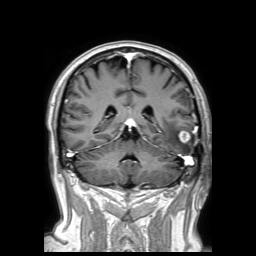
{
  "modality": {
    "type": "brain MRI",
    "field_strength": "3T"
  },
  "series": "3D T1-weighted TFE with SENSE",
  "study_topic": "ring-enhancing brain masses"
}